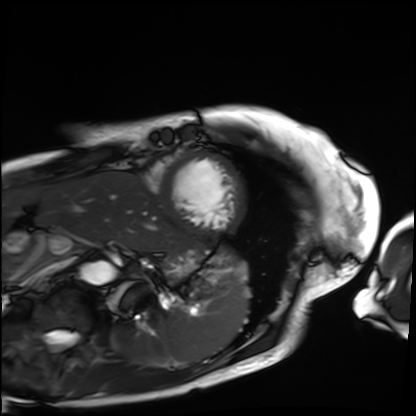
modality=cardiac MRI; subject group=patient.